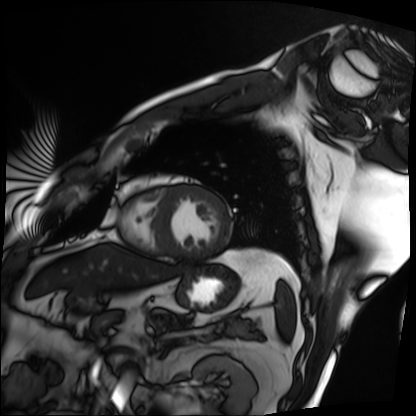
Cardiac MRI. Subject group: patient.